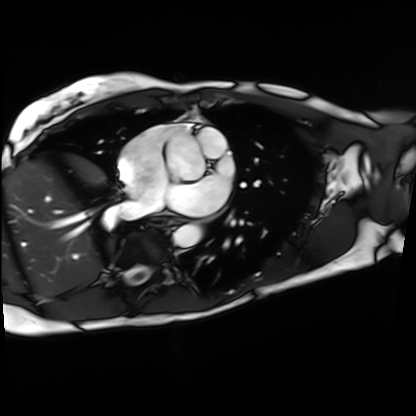
Clinical context: Cardiac MRI. Subject group: patient.